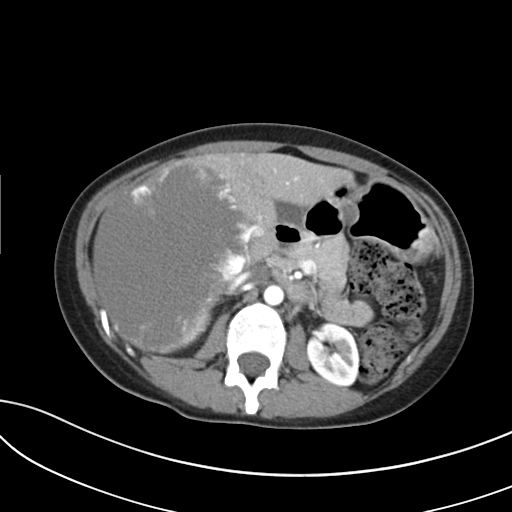
Summary:
Multiphase abdominal CT, liver, arterial phase. Patient: male, age 35.